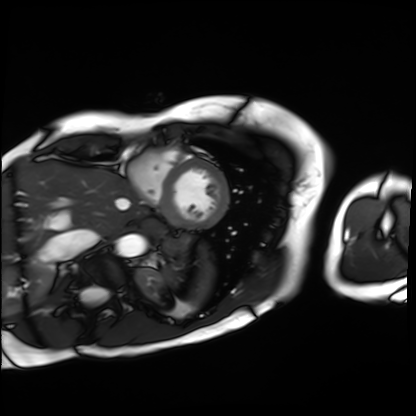
<scan>
<modality>cardiac MRI</modality>
<cohort>patient</cohort>
</scan>